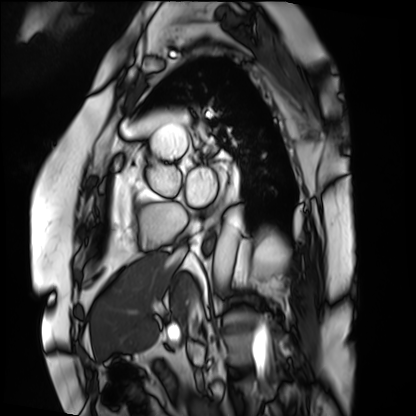
modality = cardiac MRI
subject group = patient